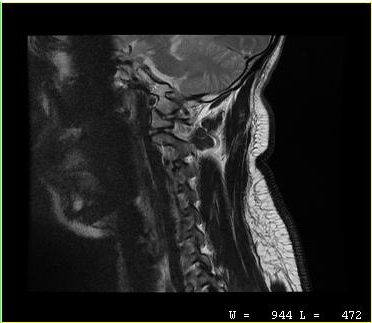
MRI of the cervical spine. Study: cervical spondylosis.